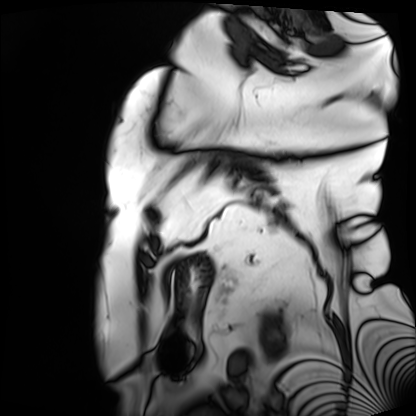
Cardiac MRI. Subject group: patient.